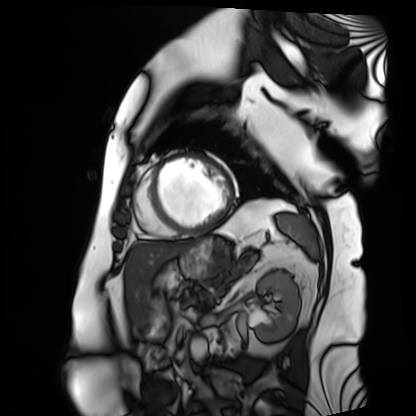
| field | value |
|---|---|
| modality | cardiac MRI |
| subject group | patient |